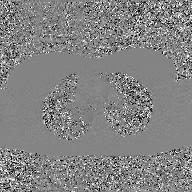
2D phase-contrast cine MRI of the ascending aorta, GAN super-resolution reconstruction.